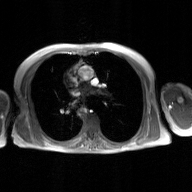
2D phase-contrast cine MRI of the ascending aorta, GAN super-resolution reconstruction.